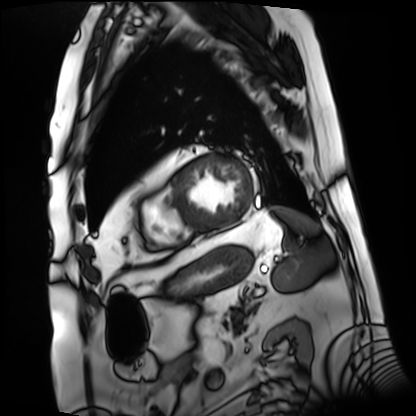
modality: cardiac MRI
subject group: patient